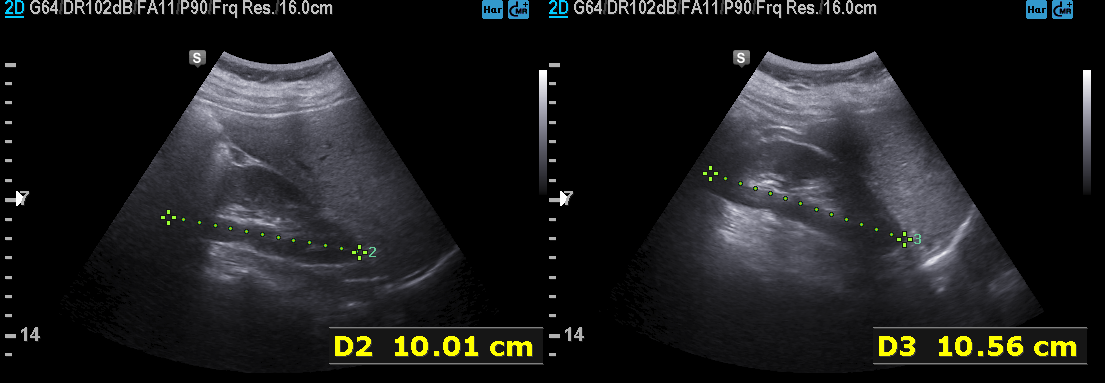
Genitourinary ultrasound.